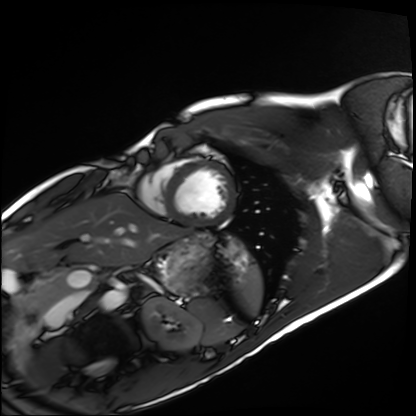
modality: cardiac MRI; subject group: healthy volunteer.